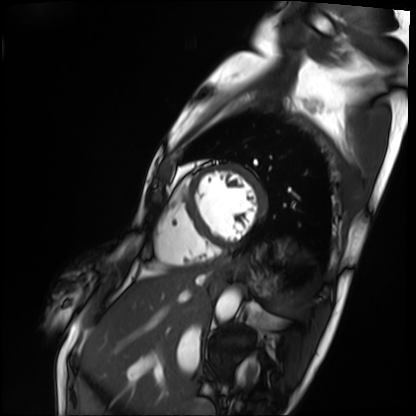
<record>
  <modality>cardiac MRI</modality>
  <cohort>patient</cohort>
</record>